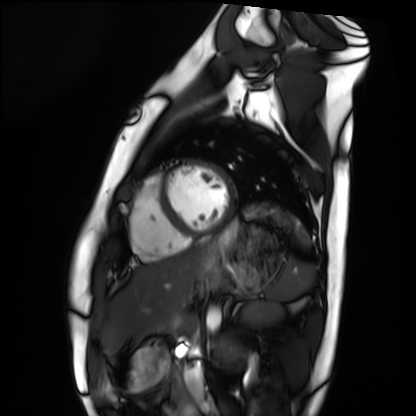
Case:
• modality · cardiac MRI
• subject group · healthy volunteer